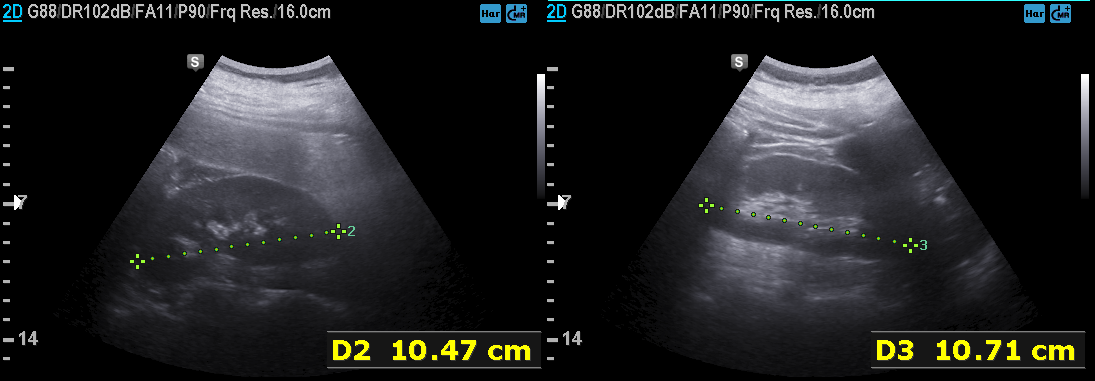
| field | value |
|---|---|
| modality | genitourinary ultrasound |